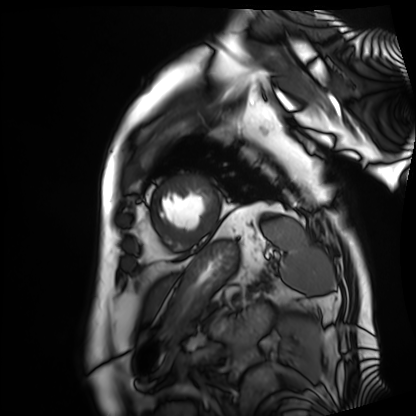
Cardiac MRI.
Subject group: patient.